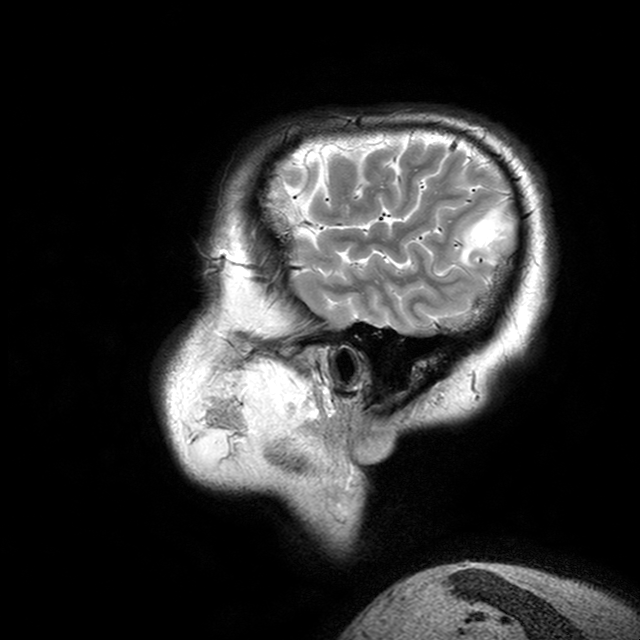
modality: 3 Tesla brain MRI
series: T2-weighted turbo spin echo with CLEAR
study: ring-enhancing brain masses